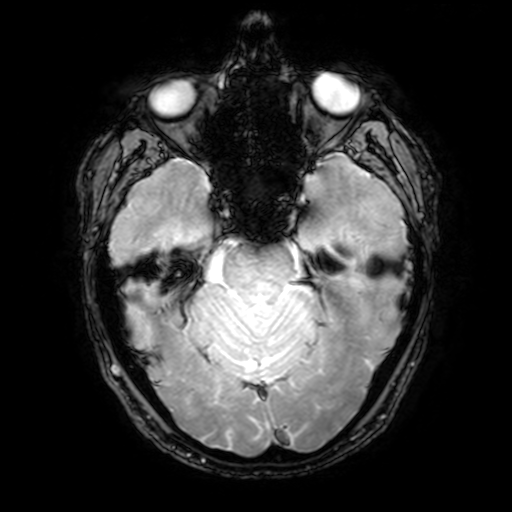
Case:
- modality: 3 Tesla brain MRI
- series: T2-weighted fast field echo with SENSE
- study: ring-enhancing brain masses